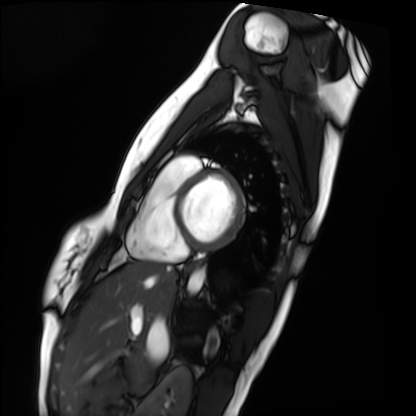
Cardiac MRI.
Subject group: healthy volunteer.